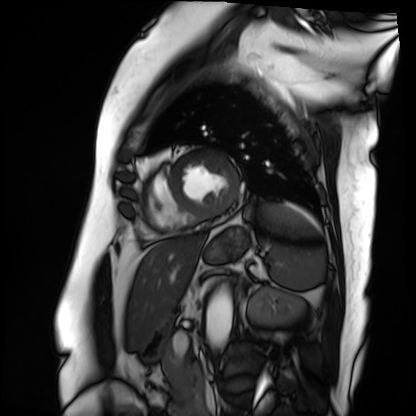
Summary: Cardiac MRI. Subject group: patient.